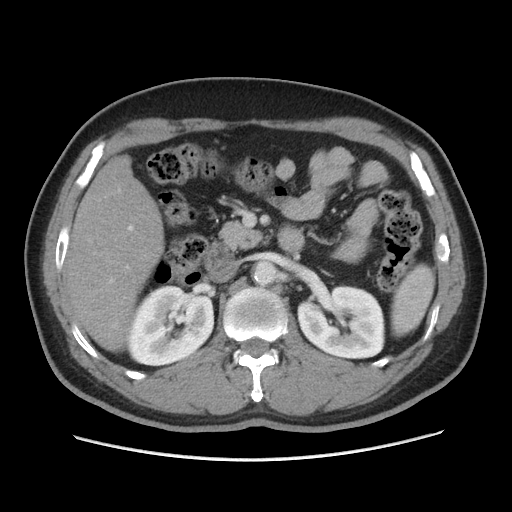
{"modality": {"type": "multiphase abdominal CT", "region": "liver", "phase": "portal venous"}, "patient": {"sex": "male", "age": 56}, "history": ["cirrhosis", "viral hepatitis"]}